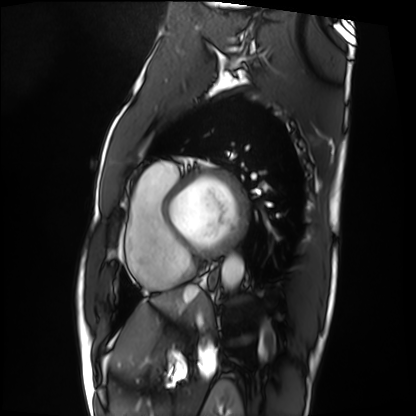
Cardiac MRI. Subject group: patient.